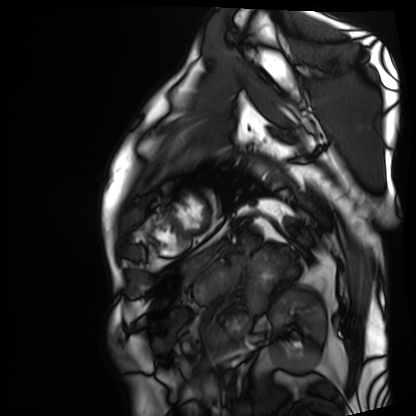
– modality: cardiac MRI
– subject group: patient